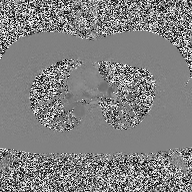
modality:
  type: 2D phase-contrast cine MRI
  region: ascending aorta
  reconstruction: high-resolution GRAPPA acquisition